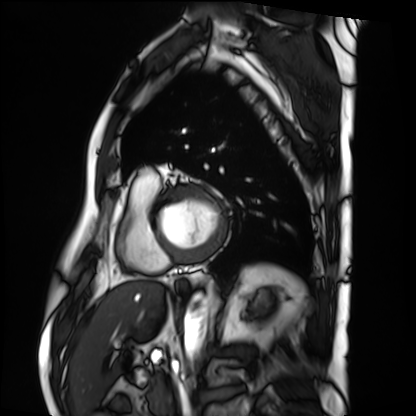
{
  "modality": "cardiac MRI",
  "cohort": "patient"
}